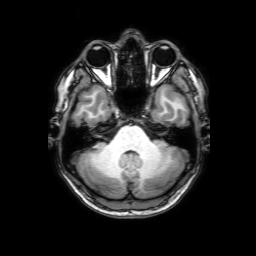
Q: What kind of scan is this?
A: 3 Tesla brain MRI.
Q: Series?
A: 3D T1-weighted with SENSE.
Study: ring-enhancing brain masses.